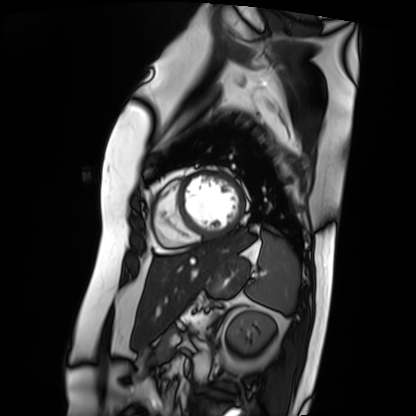
– modality · cardiac MRI
– subject group · patient